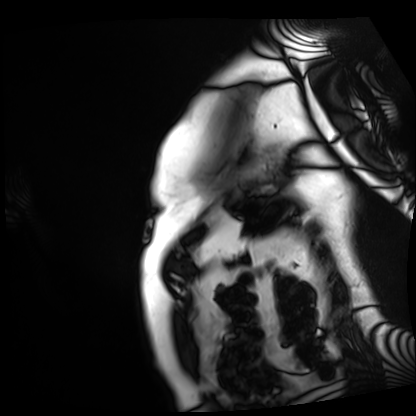
modality: cardiac MRI; subject group: patient.